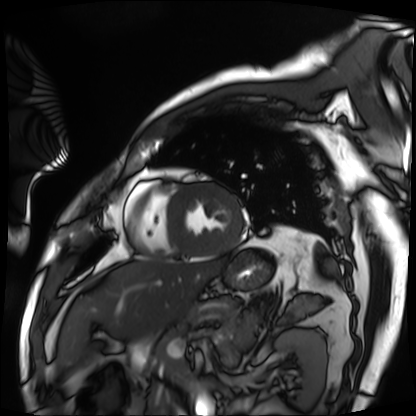
Case:
* modality — cardiac MRI
* subject group — patient